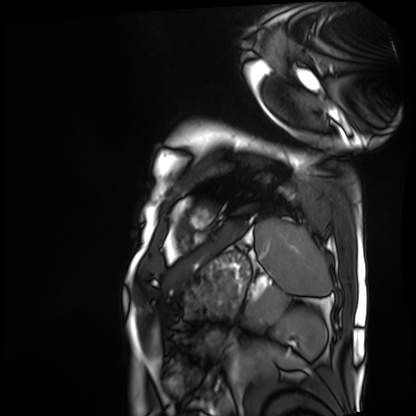
{
  "modality": "cardiac MRI",
  "cohort": "patient"
}